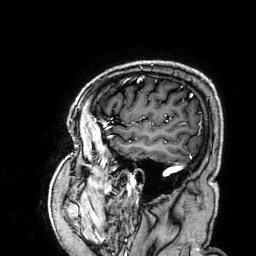
3 Tesla brain MRI.
Series: 3D T1-weighted.
Study: ring-enhancing brain masses.